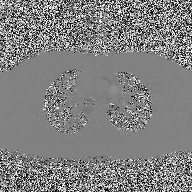
Summary:
2D phase-contrast cine MRI of the ascending aorta, high-resolution GRAPPA acquisition.